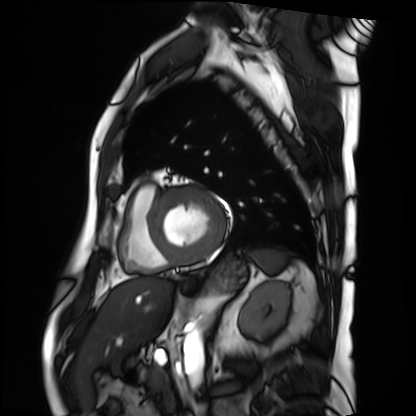
Cardiac MRI. Subject group: patient.